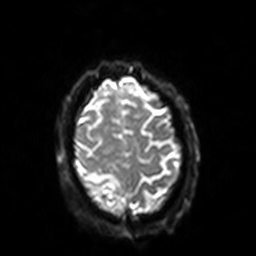
3 Tesla brain MRI.
Series: diffusion-weighted imaging with SENSE (WIP).
Study: ring-enhancing brain masses.